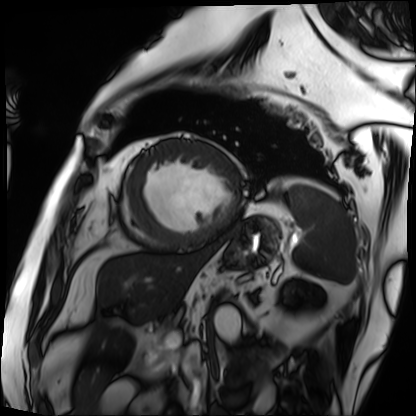
Cardiac MRI.
Subject group: patient.